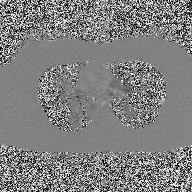
Q: What kind of scan is this?
A: 2D phase-contrast cine MRI of the ascending aorta.